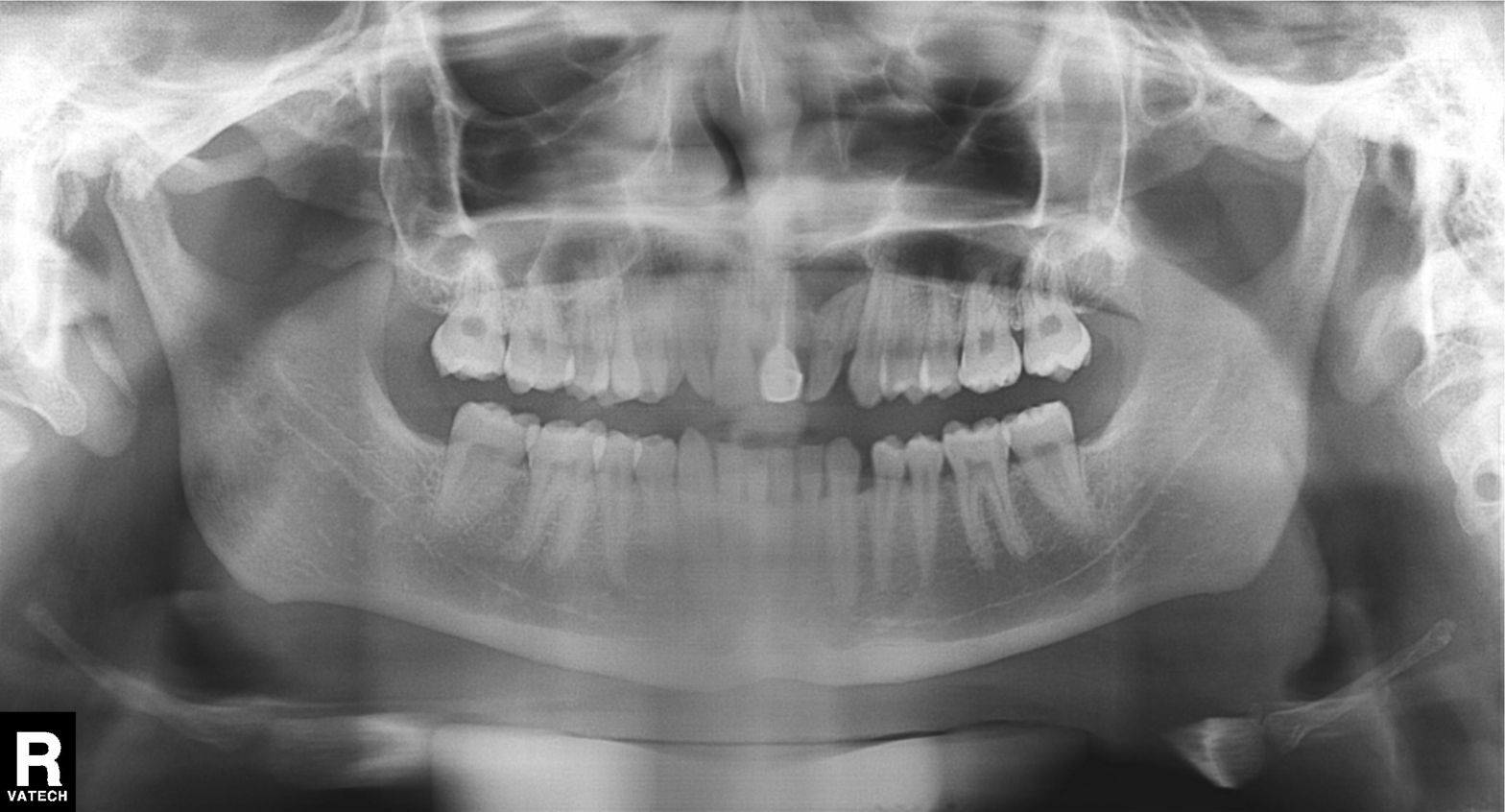
| field | value |
|---|---|
| modality | panoramic dental radiograph (orthopantomogram) |
| finding | dental caries (cavities) |